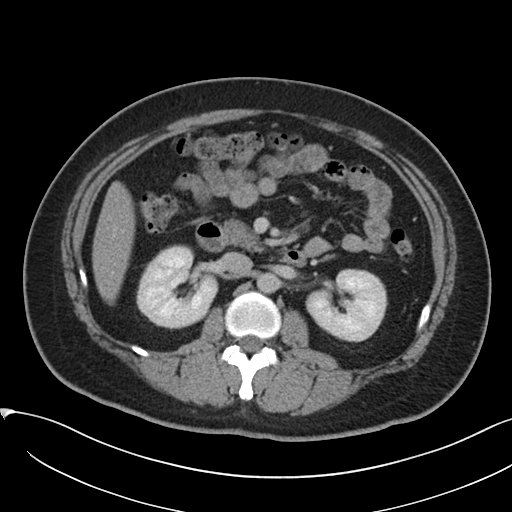
Q: What kind of scan is this?
A: Multiphase abdominal CT, liver, delayed phase.
Q: Patient?
A: Female, age 38.